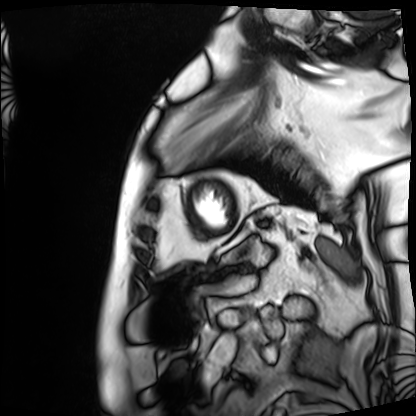
modality: cardiac MRI, subject group: patient.